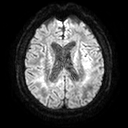
Case:
* modality: 3 Tesla brain MRI
* series: diffusion tensor imaging (medium iso)
* study: ring-enhancing brain masses